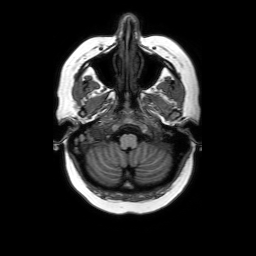
modality = 3 Tesla brain MRI; study = ring-enhancing brain masses.